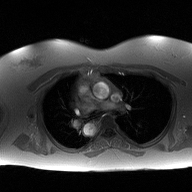
modality — 2D phase-contrast cine MRI of the ascending aorta